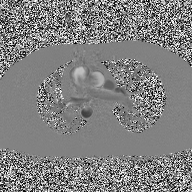
Q: What kind of scan is this?
A: 2D phase-contrast cine MRI of the ascending aorta.